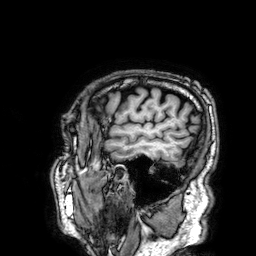
Summary:
3 Tesla brain MRI. Series: 3D T1-weighted. Study: ring-enhancing brain masses.